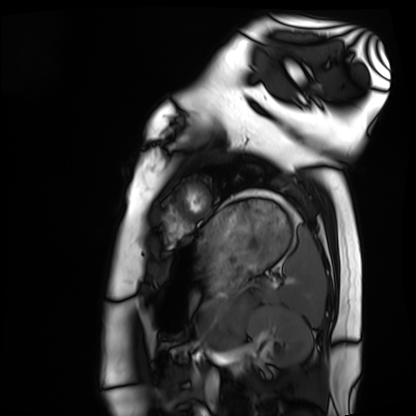
modality=cardiac MRI; subject group=healthy volunteer.